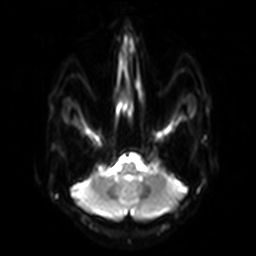
<scan>
<modality>
  <type>brain MRI</type>
  <field_strength>3T</field_strength>
</modality>
<series>diffusion-weighted imaging with SENSE (WIP)</series>
<study_topic>ring-enhancing brain masses</study_topic>
</scan>